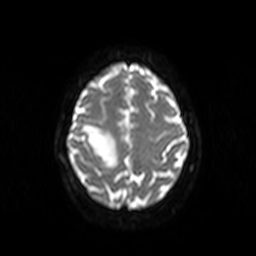
modality: 3 Tesla brain MRI
series: diffusion-weighted imaging
study: ring-enhancing brain masses